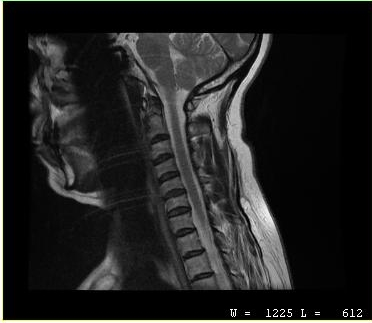
– modality — MRI of the cervical spine
– study — cervical spondylosis